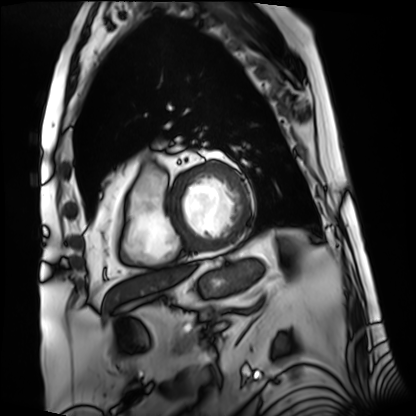
{
  "modality": "cardiac MRI",
  "cohort": "patient"
}